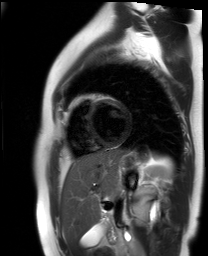
Summary: Cardiac MR image of the myocardium. Subject cohort: healthy volunteer.